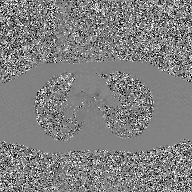
Summary: 2D phase-contrast cine MRI of the ascending aorta, GAN super-resolution reconstruction.